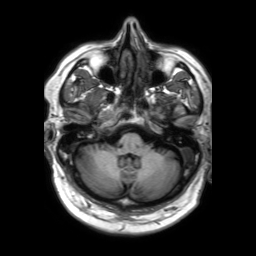
Summary:
3 Tesla brain MRI. Series: 3D T1-weighted TFE with SENSE. Study: ring-enhancing brain masses.